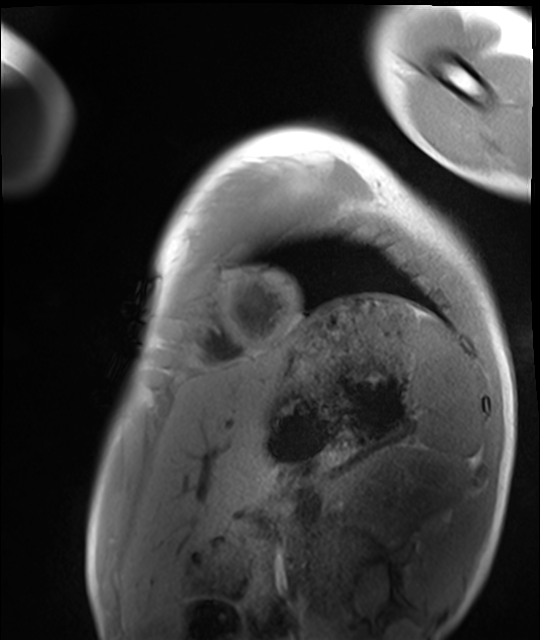
Summary:
Cardiac MRI. Subject group: healthy volunteer.